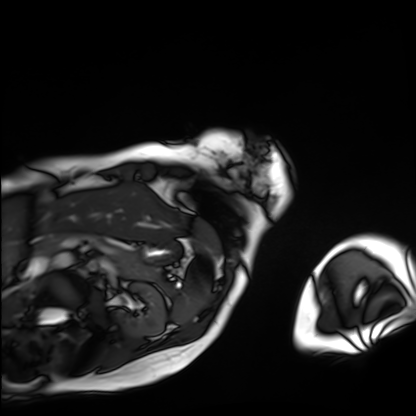
<scan>
<modality>cardiac MRI</modality>
<cohort>patient</cohort>
</scan>